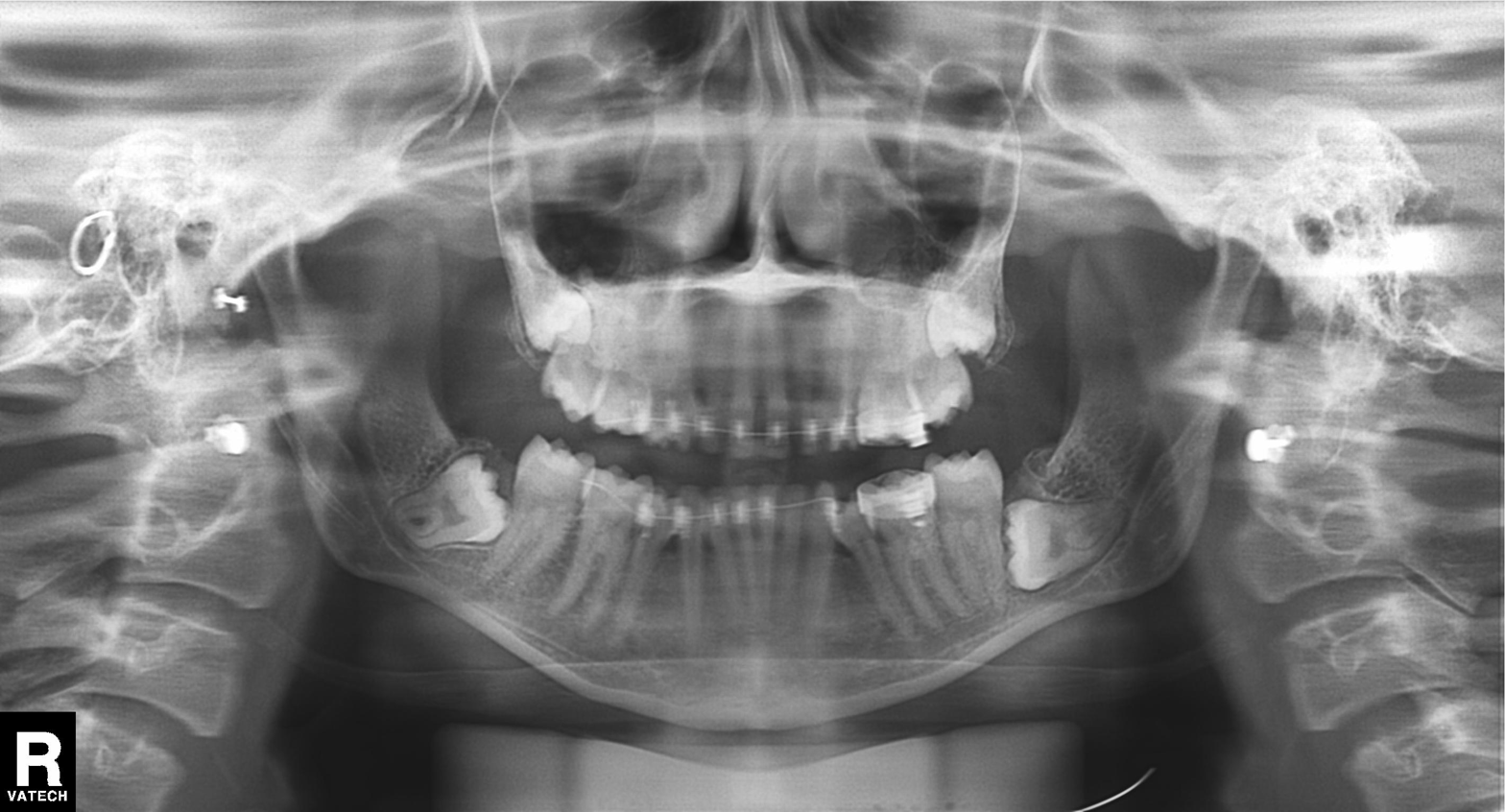
Panoramic dental radiograph (orthopantomogram). Finding: dental caries (cavities).